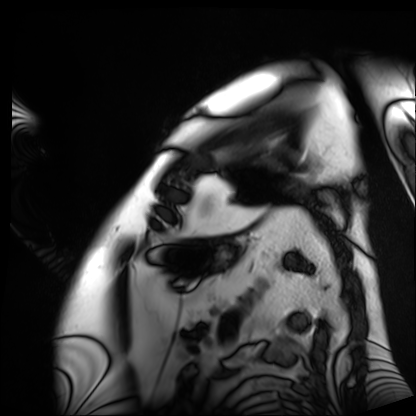
Summary:
Cardiac MRI. Subject group: patient.